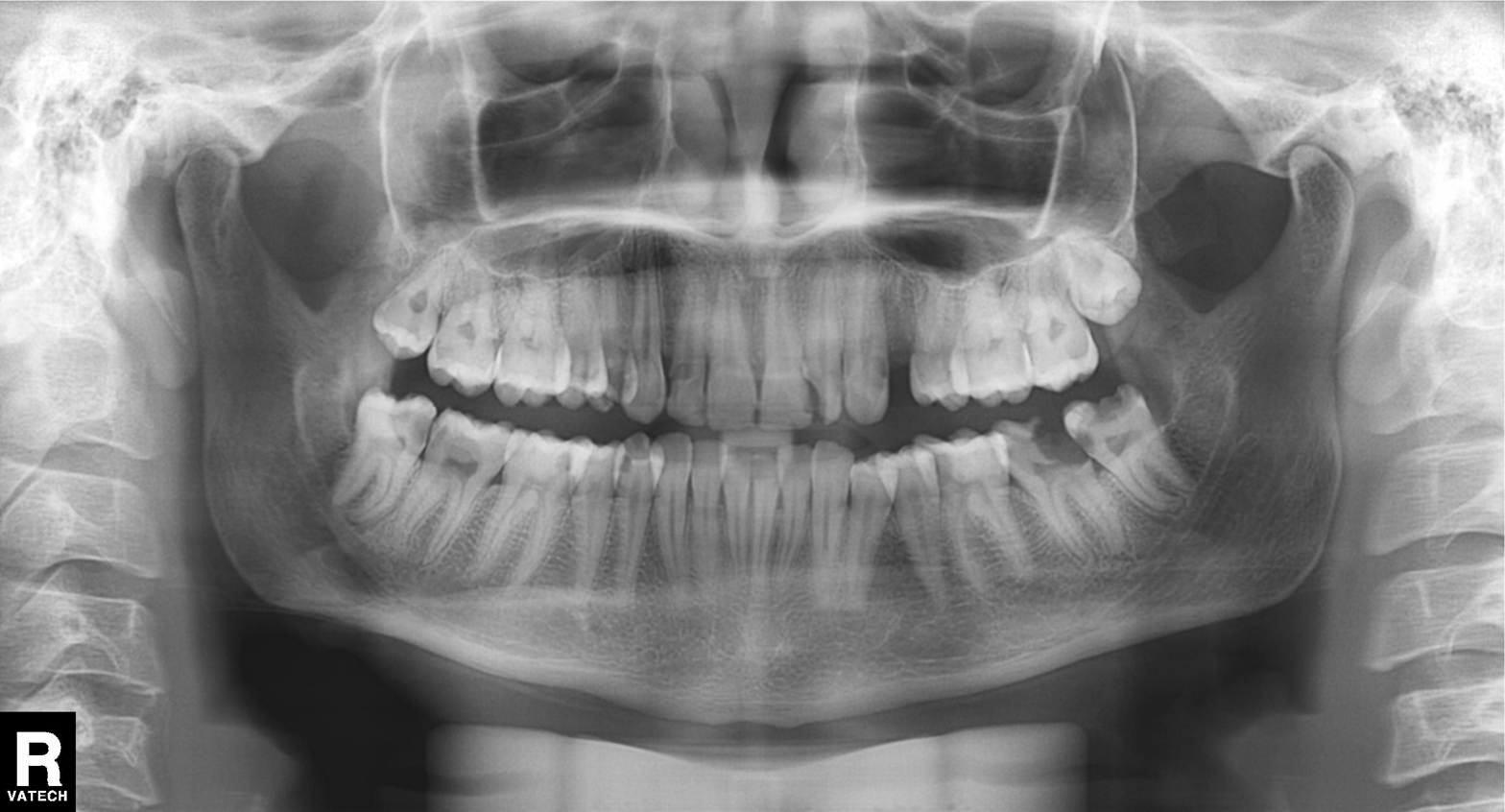
modality: panoramic dental radiograph (orthopantomogram)
finding: tooth impaction